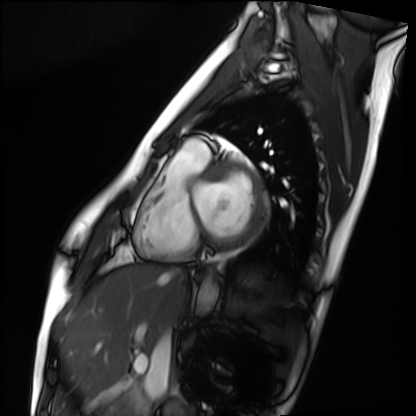
Clinical context: Cardiac MRI. Subject group: healthy volunteer.